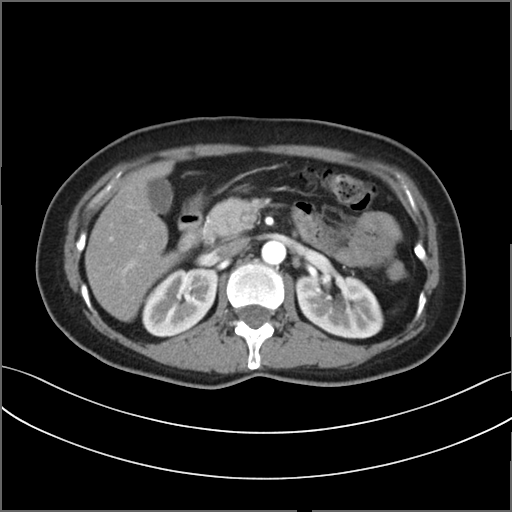
Summary: Multiphase abdominal CT, liver, arterial phase. Patient: female, age 53. History: prior chemotherapy.